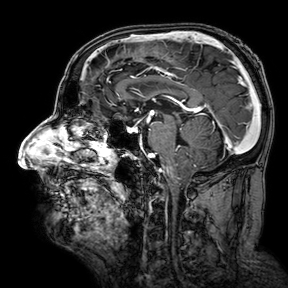
{"modality": {"type": "brain MRI", "field_strength": "3T"}, "series": "3D T1-weighted turbo field echo with SENSE", "study_topic": "ring-enhancing brain masses"}